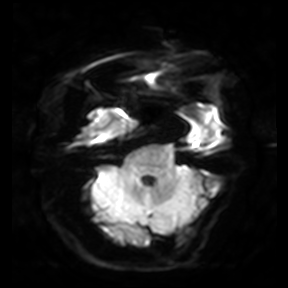
3 Tesla brain MRI. Series: diffusion-weighted imaging. Study: ring-enhancing brain masses.